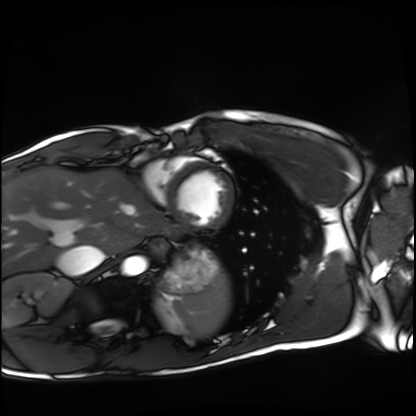
Case summary: Cardiac MRI. Subject group: healthy volunteer.